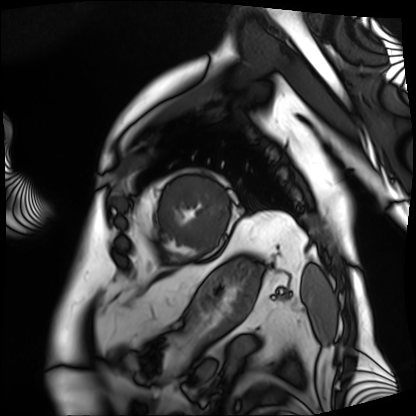
modality = cardiac MRI, subject group = patient.